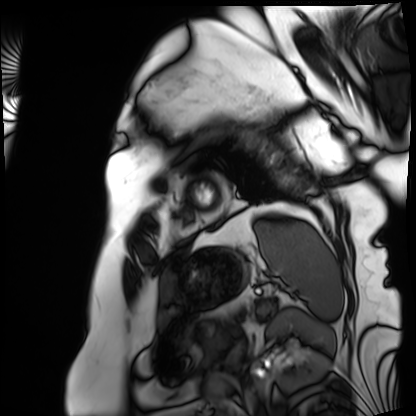
Q: What kind of scan is this?
A: Cardiac MRI.
Subject group: patient.